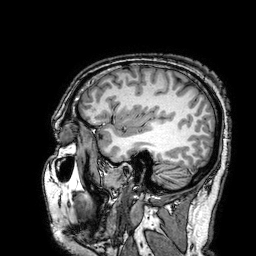
- modality: 3 Tesla brain MRI
- series: 3D T1-weighted turbo field echo with SENSE
- study: ring-enhancing brain masses